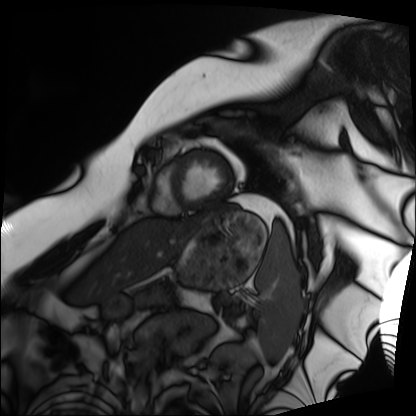
Case summary:
Cardiac MRI. Subject group: patient.